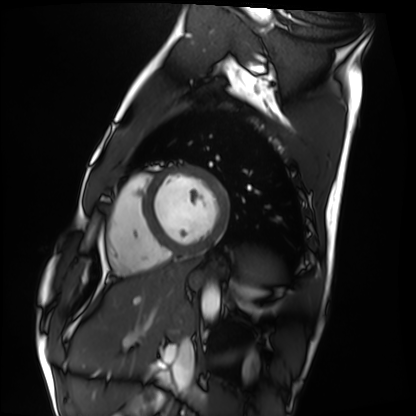
Clinical context: Cardiac MRI. Subject group: healthy volunteer.